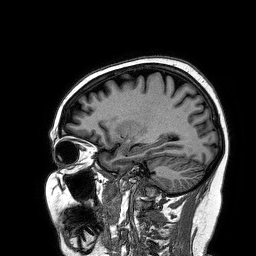
modality — 3 Tesla brain MRI; series — 3D T1-weighted turbo field echo; study — ring-enhancing brain masses.